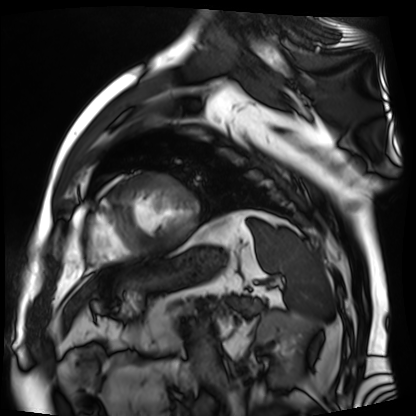
Case:
– modality: cardiac MR image of the myocardium
– subject cohort: cardiac patient